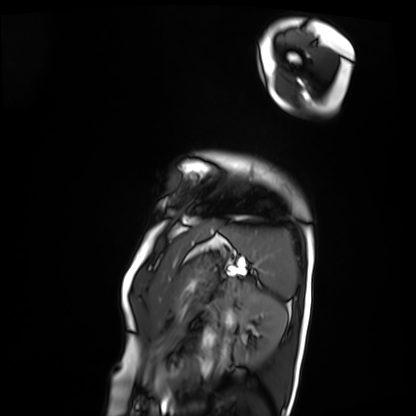
Cardiac MRI. Subject group: patient.